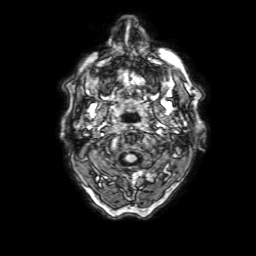
{
  "modality": {
    "type": "brain MRI",
    "field_strength": "3T"
  },
  "series": "3D T1-weighted with SENSE",
  "study_topic": "ring-enhancing brain masses"
}